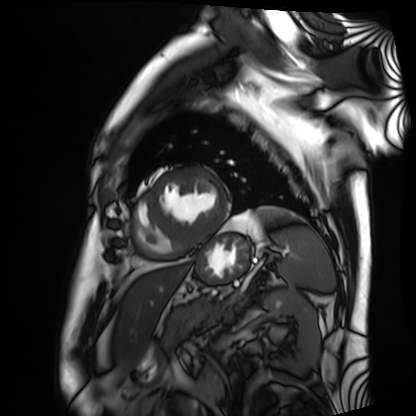
Summary: Cardiac MRI. Subject group: patient.